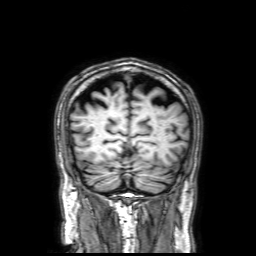
modality — 3 Tesla brain MRI | series — 3D T1-weighted with SENSE | study — ring-enhancing brain masses.